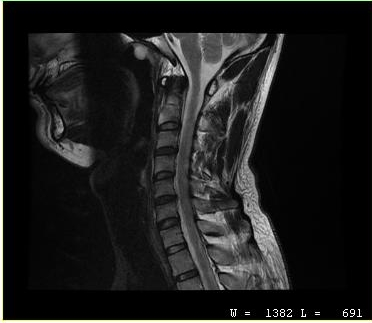
  modality:
    type: cervical spine MRI
  study_topic: cervical spondylosis